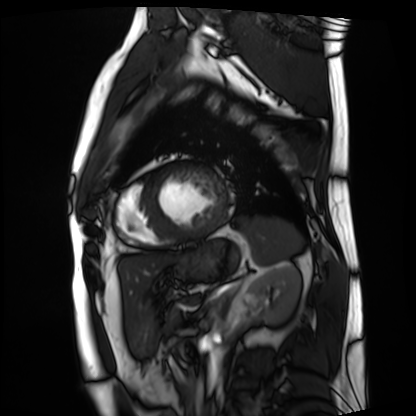
Clinical context: Cardiac MRI. Subject group: patient.